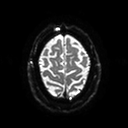
Case summary:
3 Tesla brain MRI. Series: diffusion tensor imaging (medium iso). Study: ring-enhancing brain masses.